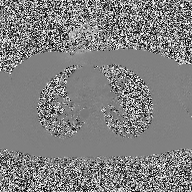
modality: 2D phase-contrast cine MRI of the ascending aorta.